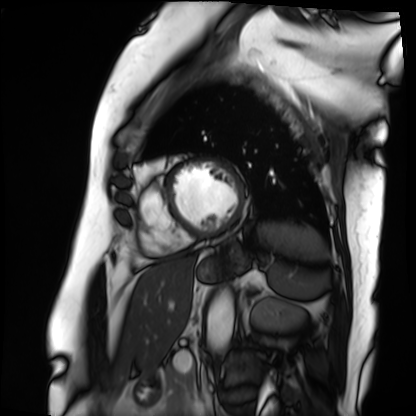
Cardiac MRI. Subject group: patient.